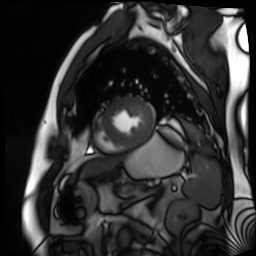
Summary:
Cardiac MR image of the myocardium. Subject cohort: cardiac patient.